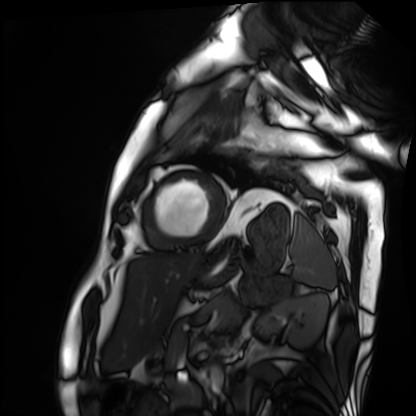
Cardiac MRI. Subject group: patient.